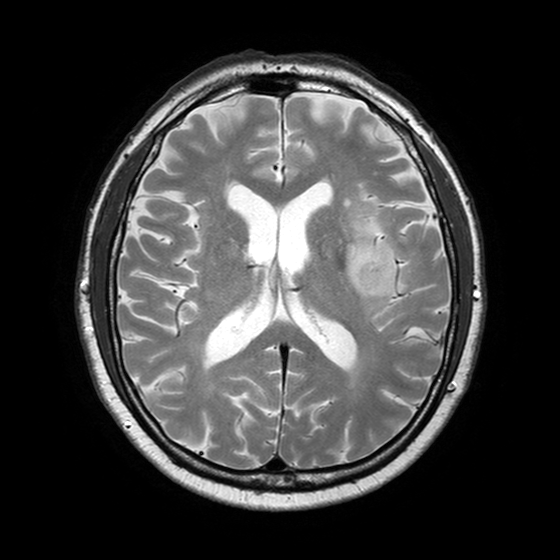
modality — 3 Tesla brain MRI; series — T2-weighted turbo spin echo with SENSE; study — ring-enhancing brain masses.